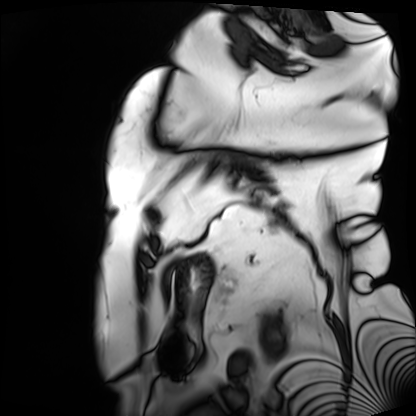
Cardiac MRI. Subject group: patient.